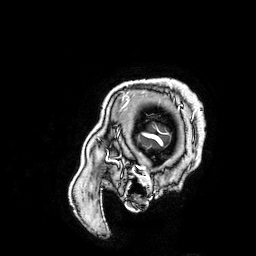
Clinical context:
3 Tesla brain MRI. Series: 3D T1-weighted turbo field echo with SENSE. Study: ring-enhancing brain masses.